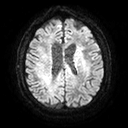
3 Tesla brain MRI.
Series: diffusion tensor imaging (medium iso).
Study: ring-enhancing brain masses.